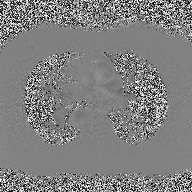
| field | value |
|---|---|
| modality | 2D phase-contrast cine MRI of the ascending aorta |